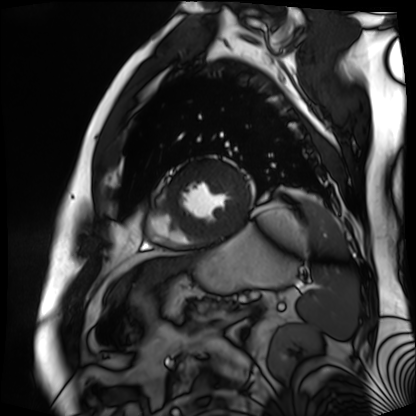
Q: What kind of scan is this?
A: Cardiac MR image of the myocardium.
Subject cohort: cardiac patient.